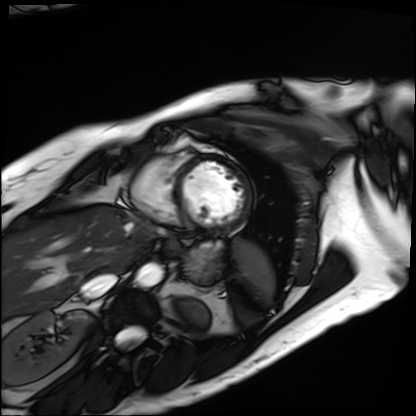
– modality · cardiac MRI
– subject group · patient